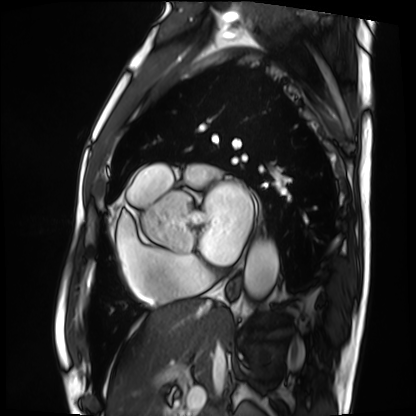
Summary:
Cardiac MRI. Subject group: patient.